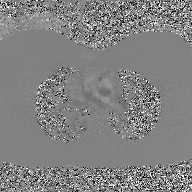
Q: What kind of scan is this?
A: 2D phase-contrast cine MRI of the ascending aorta, GAN super-resolution reconstruction.